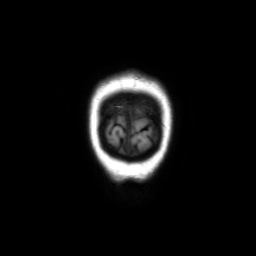
3 Tesla brain MRI. Series: coronal without contrast. Study: ring-enhancing brain masses.